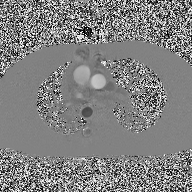
Clinical context: 2D phase-contrast cine MRI of the ascending aorta, high-resolution GRAPPA acquisition.